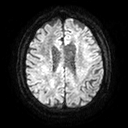
{"modality": {"type": "brain MRI", "field_strength": "3T"}, "series": "diffusion tensor imaging (medium iso)", "study_topic": "ring-enhancing brain masses"}